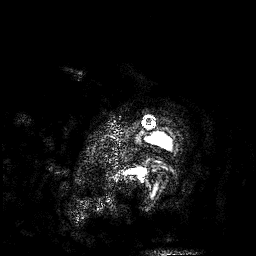
Clinical context: 3 Tesla brain MRI. Series: 3D T1-weighted. Study: ring-enhancing brain masses.